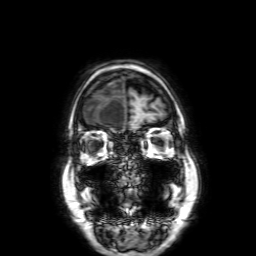
modality=3 Tesla brain MRI; series=3D T1-weighted with SENSE; study=ring-enhancing brain masses.